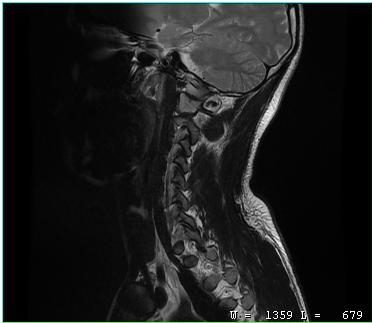
MRI of the cervical spine.
Study: cervical spondylosis.